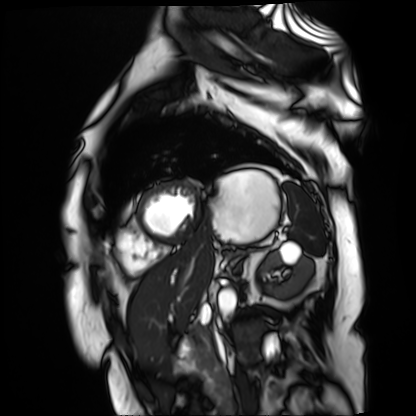
- modality — cardiac MR image of the myocardium
- subject cohort — cardiac patient